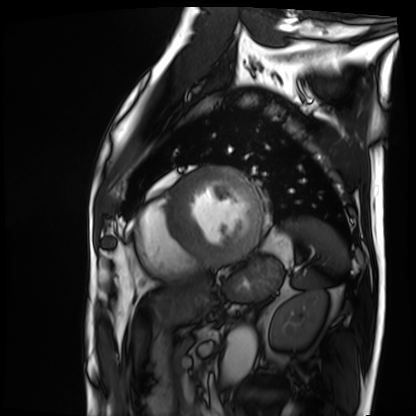
Case summary:
Cardiac MRI. Subject group: patient.